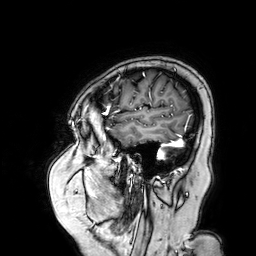
Case:
* modality · 3 Tesla brain MRI
* series · 3D T1-weighted turbo field echo with SENSE
* study · ring-enhancing brain masses